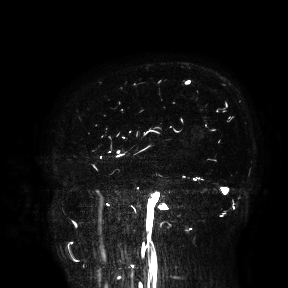
3 Tesla brain MRI.
Study: ring-enhancing brain masses.